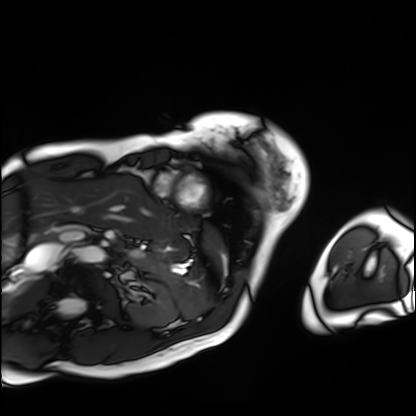
Cardiac MRI.
Subject group: patient.